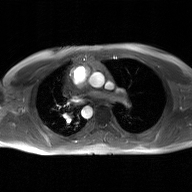
- modality · 2D phase-contrast cine MRI of the ascending aorta, GAN super-resolution reconstruction